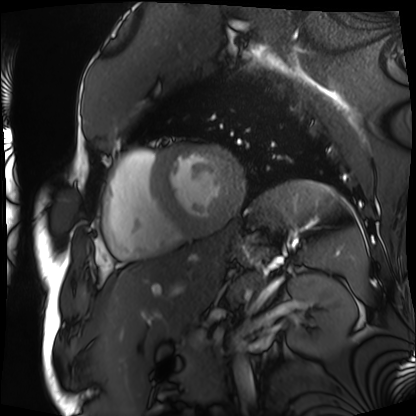
Cardiac MRI.
Subject group: patient.